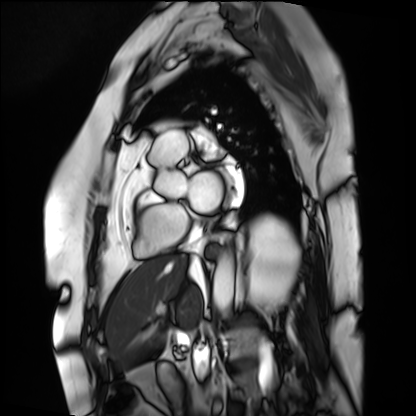
  modality: cardiac MRI
  cohort: patient